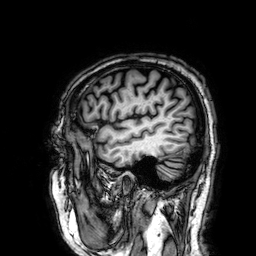
3 Tesla brain MRI.
Series: 3D T1-weighted.
Study: ring-enhancing brain masses.